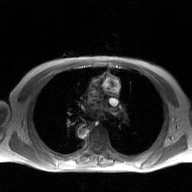
2D phase-contrast cine MRI of the ascending aorta, GAN super-resolution reconstruction.